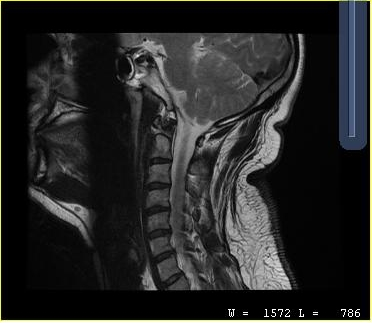
modality=MRI of the cervical spine
study=cervical spondylosis